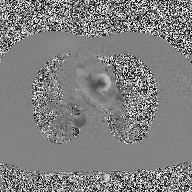
{
  "modality": {
    "type": "2D phase-contrast cine MRI",
    "region": "ascending aorta",
    "reconstruction": "high-resolution GRAPPA acquisition"
  }
}